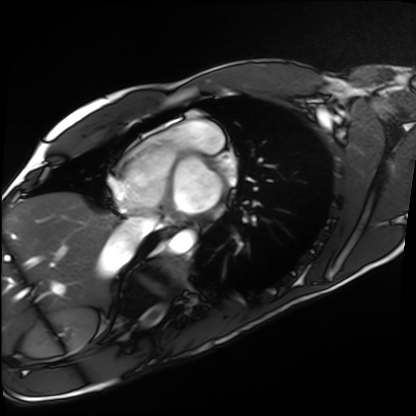
• modality — cardiac MRI
• subject group — healthy volunteer